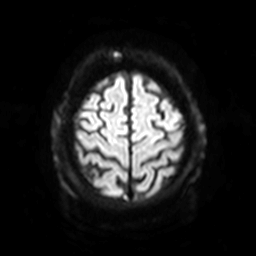
Q: What kind of scan is this?
A: 3 Tesla brain MRI.
Q: Series?
A: Diffusion-weighted imaging with SENSE (WIP).
Study: ring-enhancing brain masses.